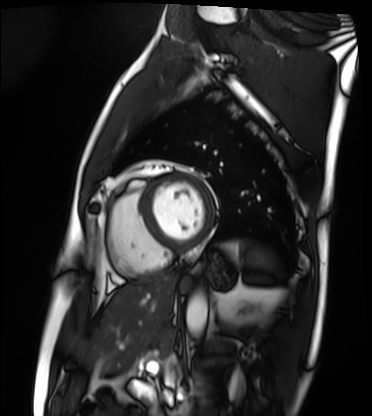
modality: cardiac MRI; subject group: patient.